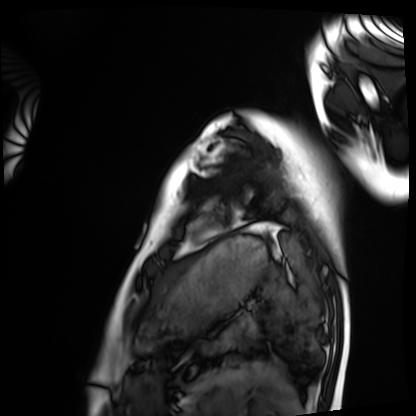
Case summary:
Cardiac MRI. Subject group: healthy volunteer.